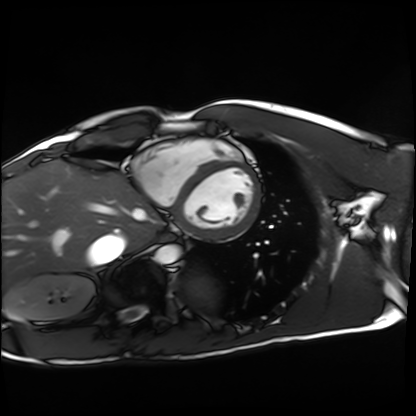
Clinical context:
Cardiac MRI. Subject group: healthy volunteer.